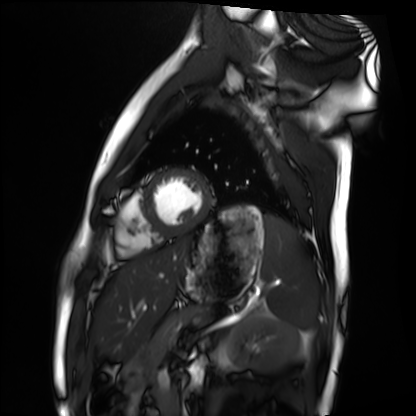
modality = cardiac MRI, subject group = healthy volunteer.